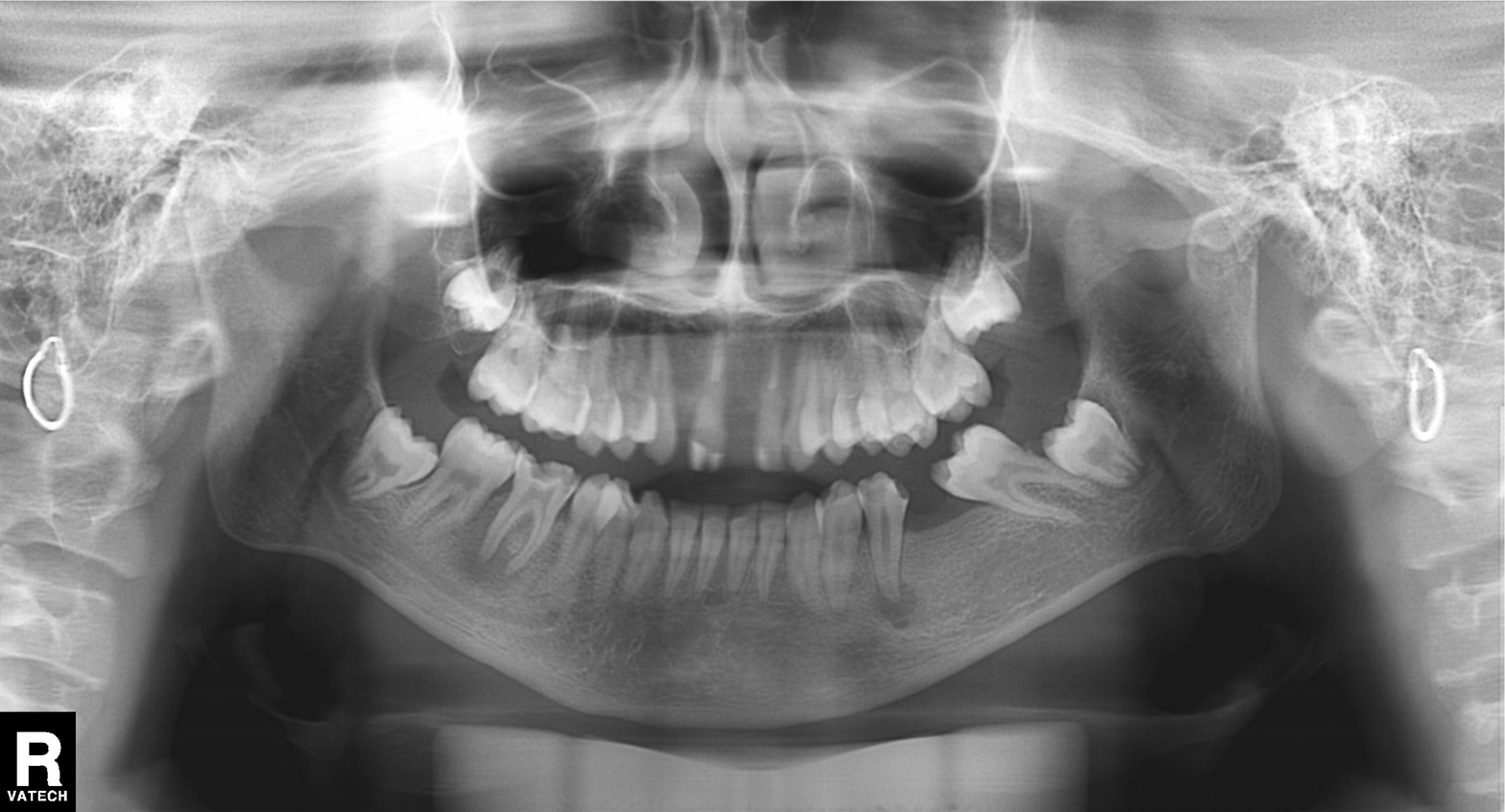
Clinical context: Panoramic dental radiograph (orthopantomogram).
Conclusion: Alveolar bone loss.